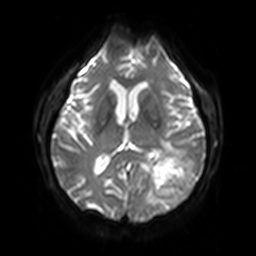
Case:
- modality · 3 Tesla brain MRI
- series · diffusion-weighted imaging with SENSE (WIP)
- study · ring-enhancing brain masses